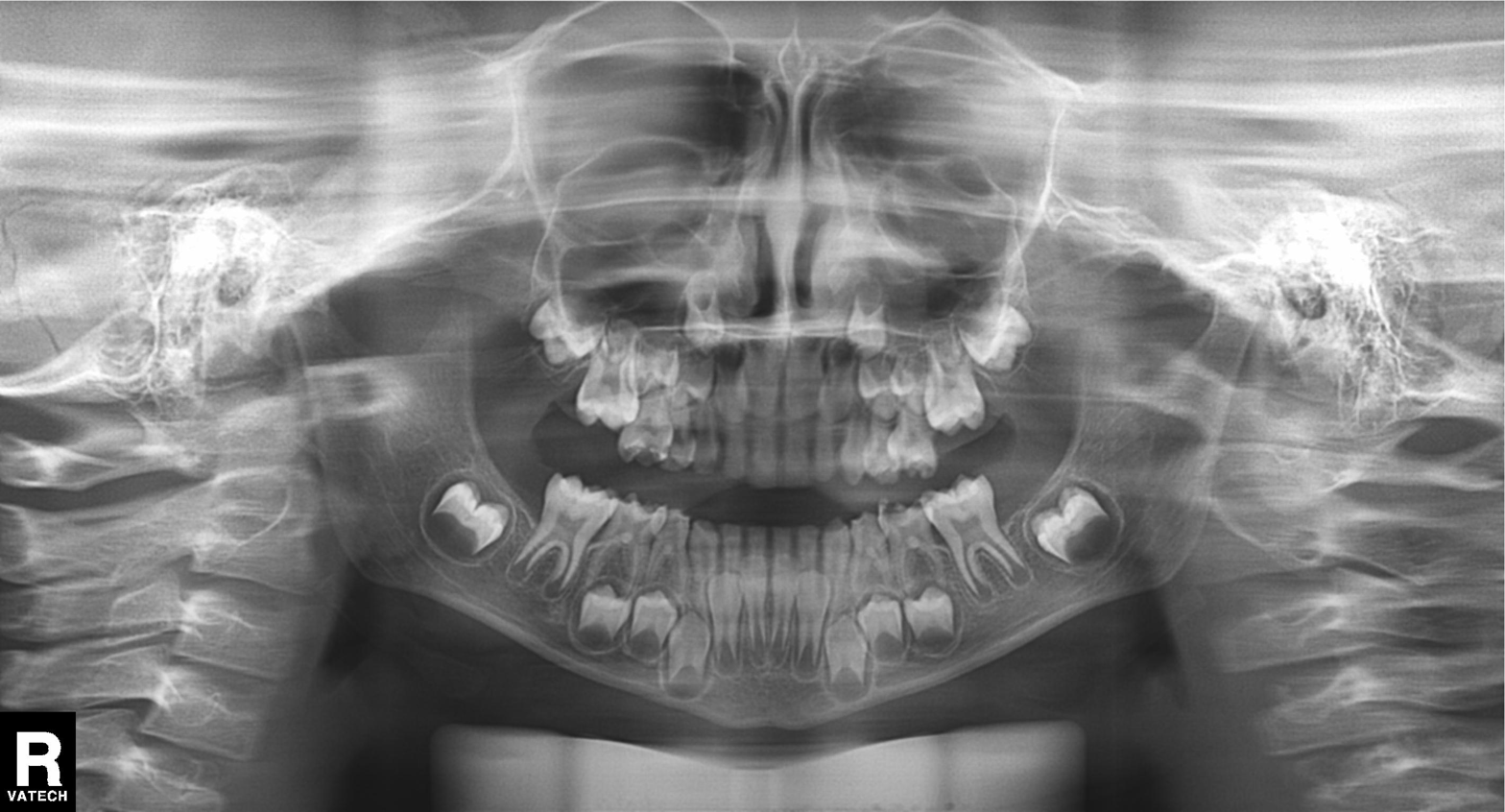
Summary: Panoramic dental radiograph (orthopantomogram).
Assessment: Dental caries (cavities).